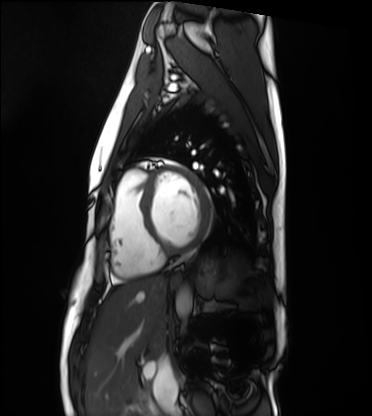
Q: What kind of scan is this?
A: Cardiac MRI.
Subject group: healthy volunteer.